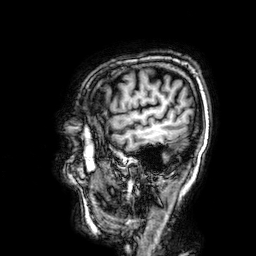
{"modality": {"type": "brain MRI", "field_strength": "3T"}, "series": "3D T1-weighted", "study_topic": "ring-enhancing brain masses"}